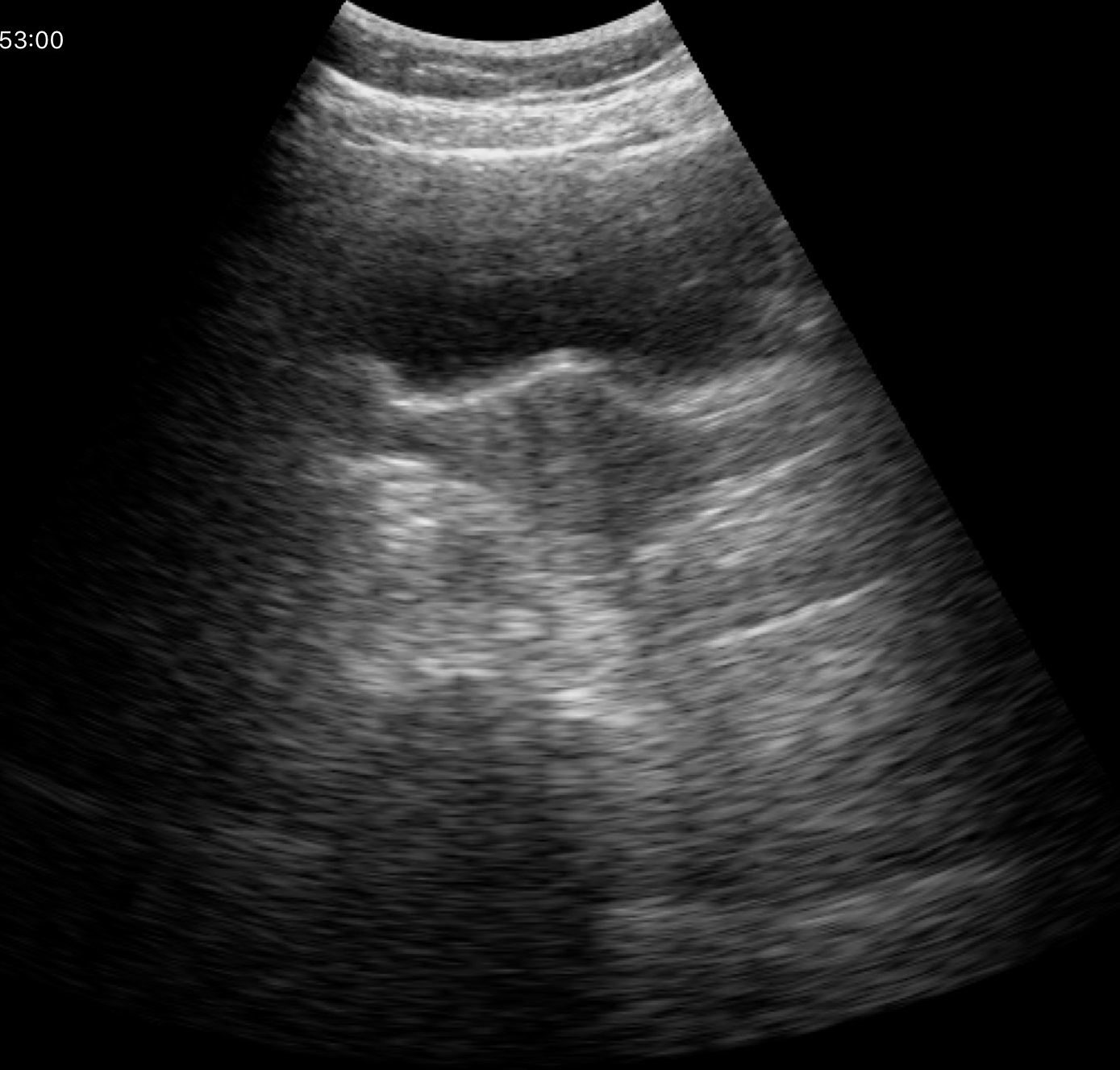
Summary: Genitourinary ultrasound.